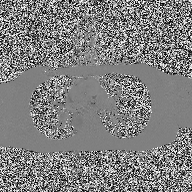
modality:
  type: 2D phase-contrast cine MRI
  region: ascending aorta
  reconstruction: high-resolution GRAPPA acquisition